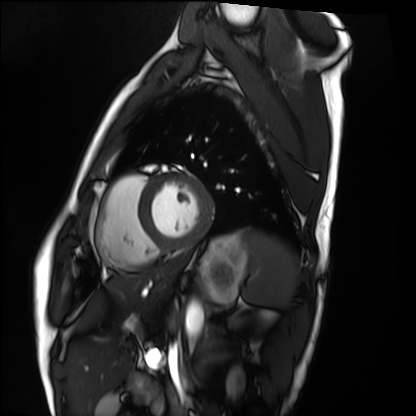
modality = cardiac MRI
subject group = healthy volunteer